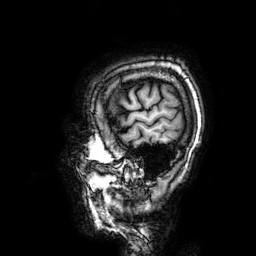
modality — 3 Tesla brain MRI
series — 3D T1-weighted
study — ring-enhancing brain masses